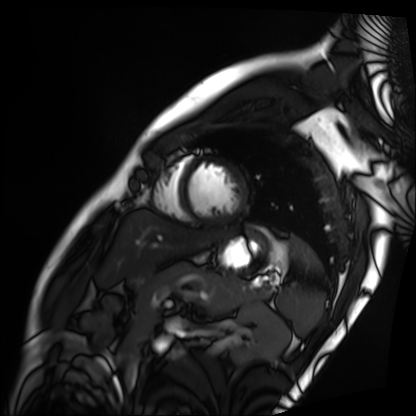
Q: What kind of scan is this?
A: Cardiac MRI.
Subject group: patient.